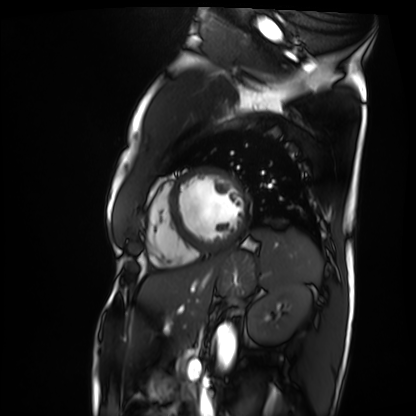
Cardiac MRI. Subject group: patient.